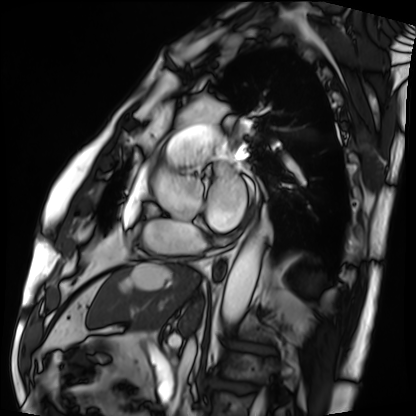
Clinical context: Cardiac MRI. Subject group: patient.